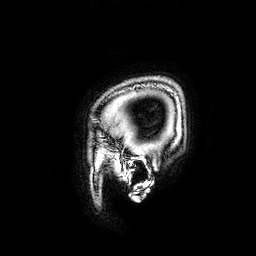
modality = 3 Tesla brain MRI; series = 3D T1-weighted; study = ring-enhancing brain masses.